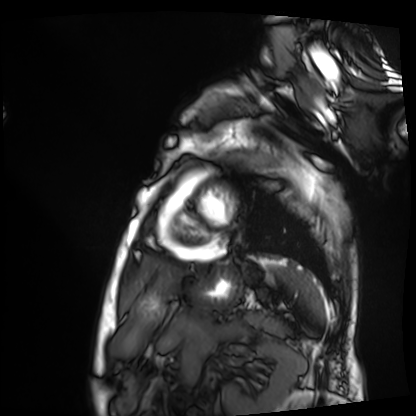
Cardiac MRI.
Subject group: patient.